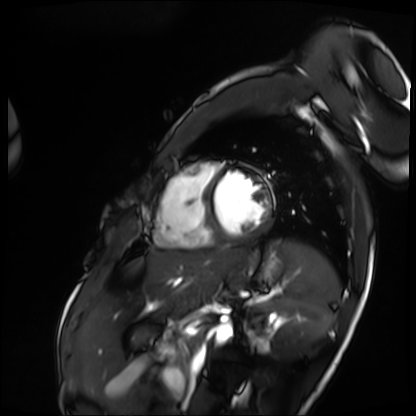
– modality: cardiac MRI
– subject group: patient